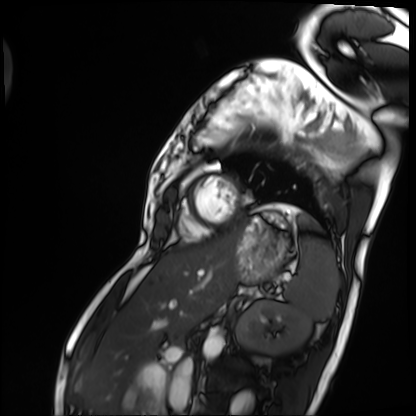
modality = cardiac MRI, subject group = patient.